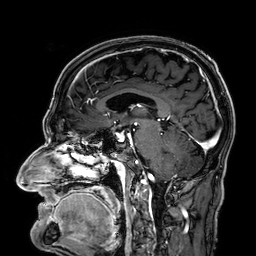
3 Tesla brain MRI.
Series: 3D T1-weighted.
Study: ring-enhancing brain masses.